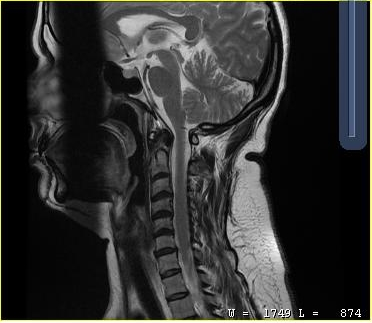
MRI of the cervical spine. Study: cervical spondylosis.